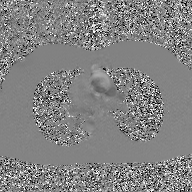
{
  "modality": {
    "type": "2D phase-contrast cine MRI",
    "region": "ascending aorta",
    "reconstruction": "GAN super-resolution reconstruction"
  }
}